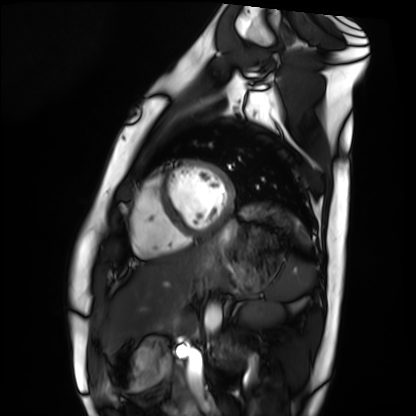
Cardiac MRI.
Subject group: healthy volunteer.